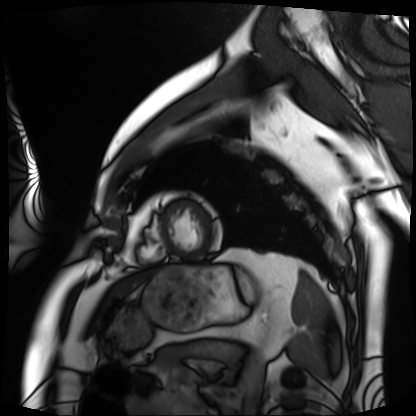
modality — cardiac MRI
subject group — patient